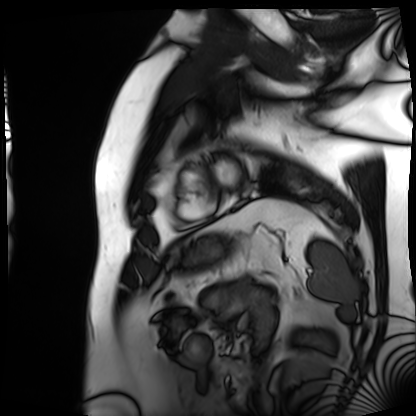
Cardiac MRI. Subject group: patient.